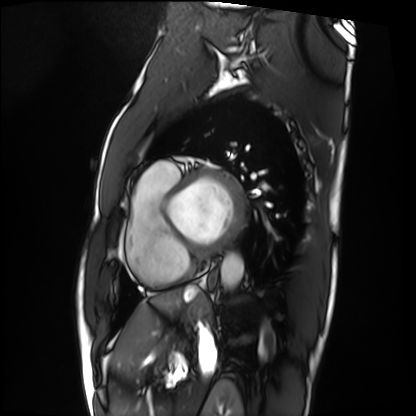
Q: What kind of scan is this?
A: Cardiac MRI.
Subject group: patient.